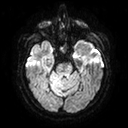
| field | value |
|---|---|
| modality | 3 Tesla brain MRI |
| study | ring-enhancing brain masses |